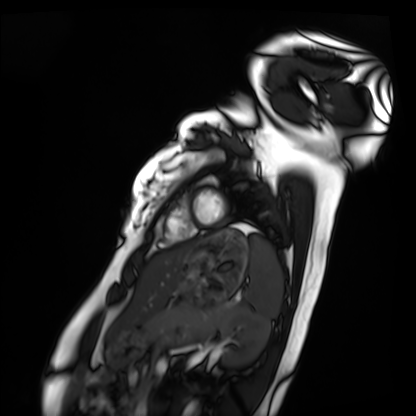
Cardiac MRI.
Subject group: healthy volunteer.